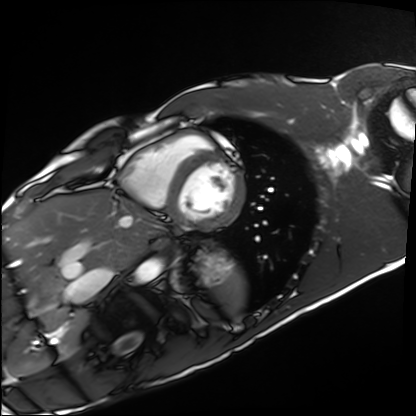
Q: What kind of scan is this?
A: Cardiac MRI.
Subject group: healthy volunteer.